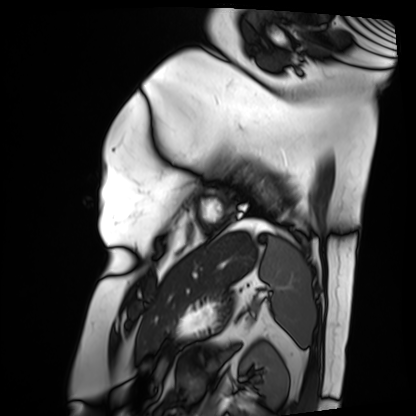
Case summary:
Cardiac MRI. Subject group: patient.